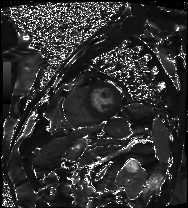
Cardiac MRI. Subject group: patient.